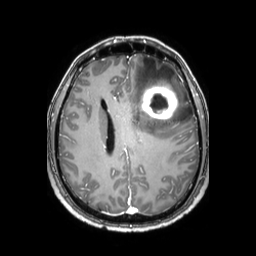
Q: What kind of scan is this?
A: 3 Tesla brain MRI.
Q: Series?
A: 3D T1-weighted TFE with SENSE.
Study: ring-enhancing brain masses.